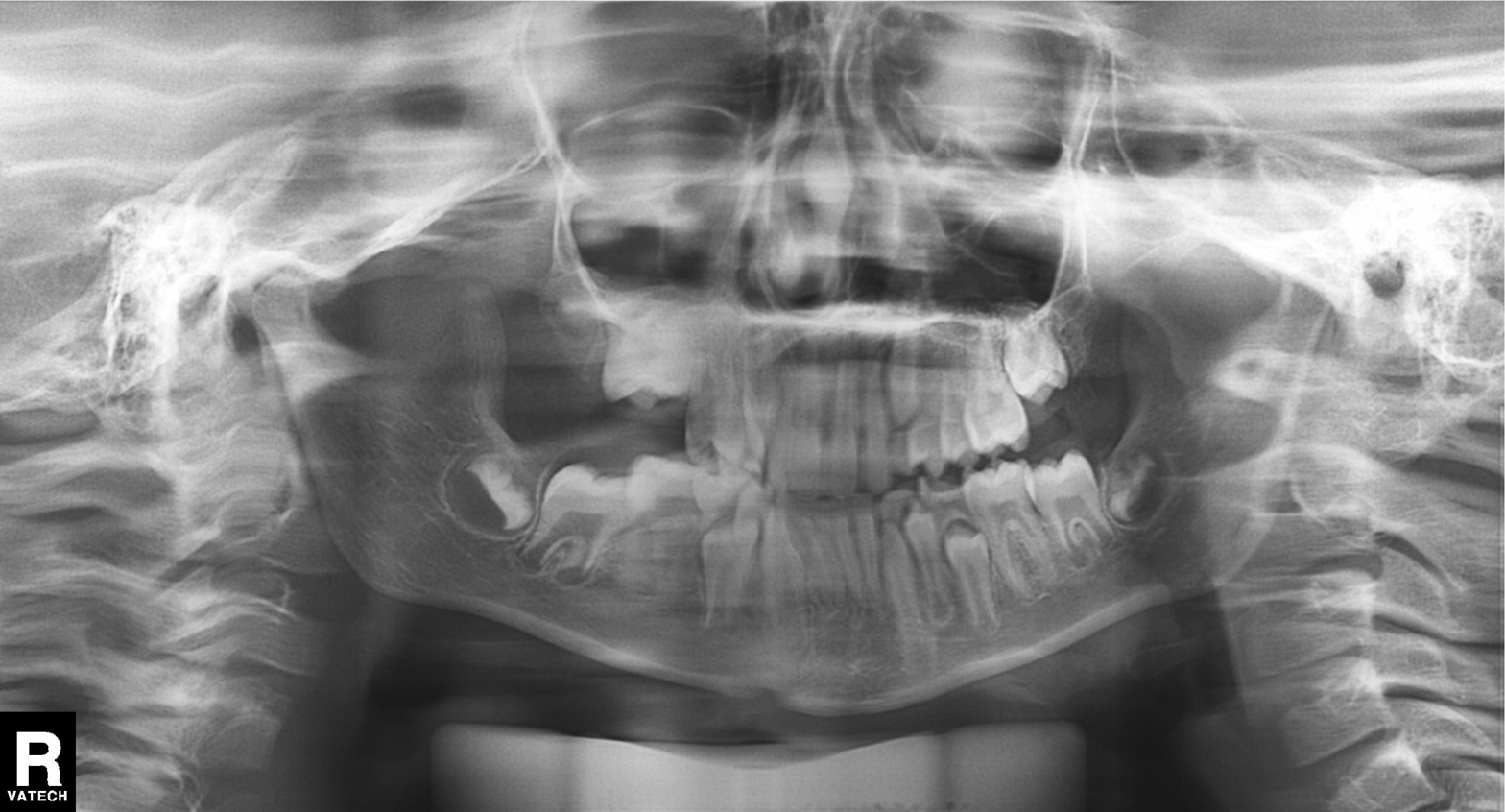
modality: panoramic dental radiograph (orthopantomogram), finding: alveolar bone loss.